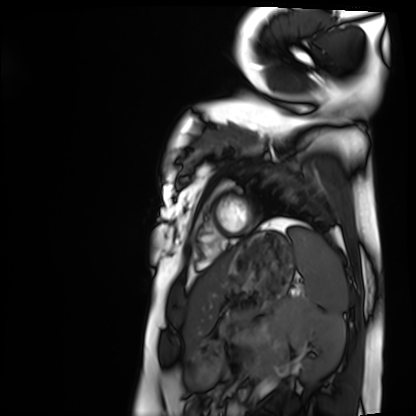
Case summary: Cardiac MRI. Subject group: healthy volunteer.